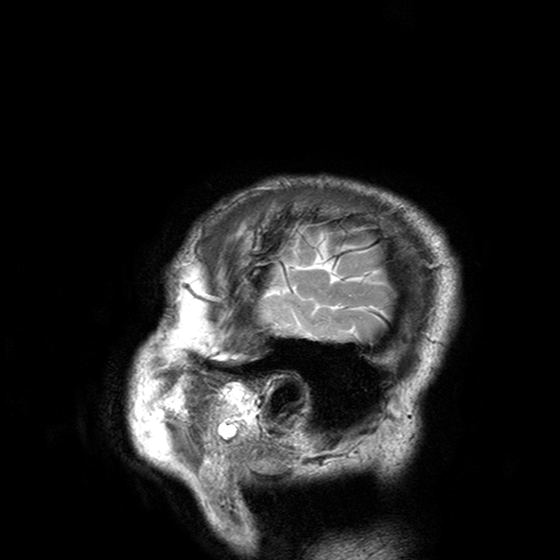
modality:
  type: brain MRI
  field_strength: 3T
series: T2-weighted turbo spin echo with SENSE
study_topic: ring-enhancing brain masses